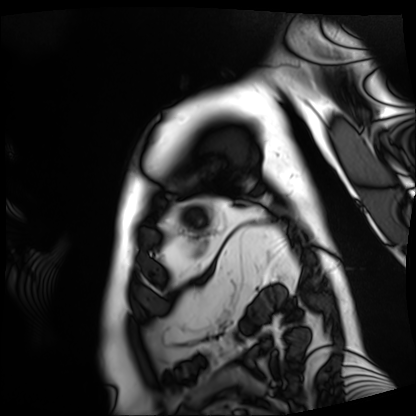
{"modality": "cardiac MRI", "cohort": "patient"}